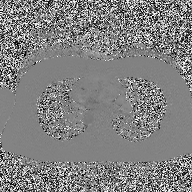
2D phase-contrast cine MRI of the ascending aorta, high-resolution GRAPPA acquisition.